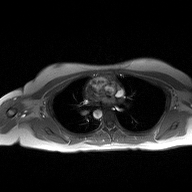
Q: What kind of scan is this?
A: 2D phase-contrast cine MRI of the ascending aorta.